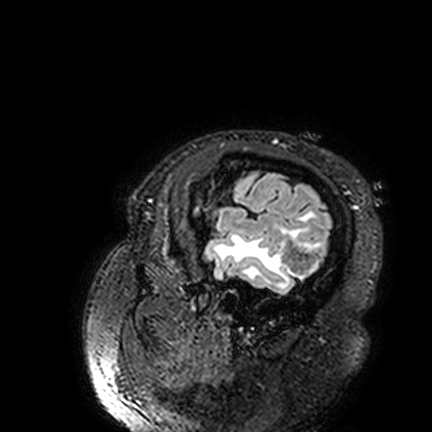
<record>
<modality>
  <type>brain MRI</type>
  <field_strength>3T</field_strength>
</modality>
<series>FLAIR VISTA</series>
<study_topic>ring-enhancing brain masses</study_topic>
</record>